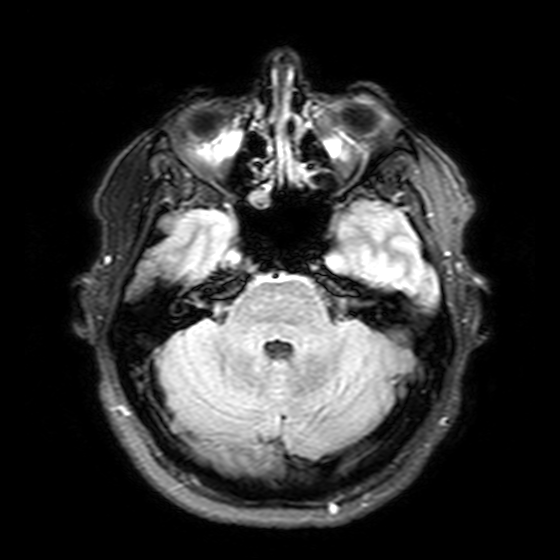
3 Tesla brain MRI. Series: T2-weighted FLAIR. Study: ring-enhancing brain masses.